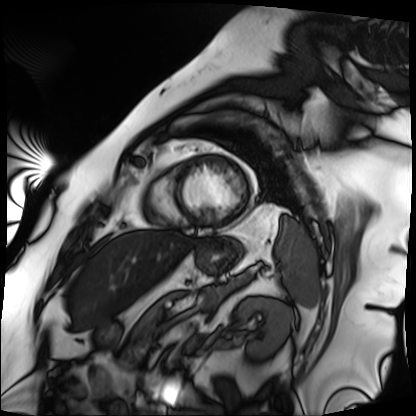
Clinical context: Cardiac MRI. Subject group: patient.